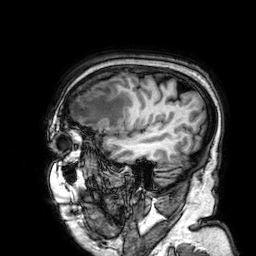
{
  "modality": {
    "type": "brain MRI",
    "field_strength": "3T"
  },
  "series": "3D T1-weighted",
  "study_topic": "ring-enhancing brain masses"
}